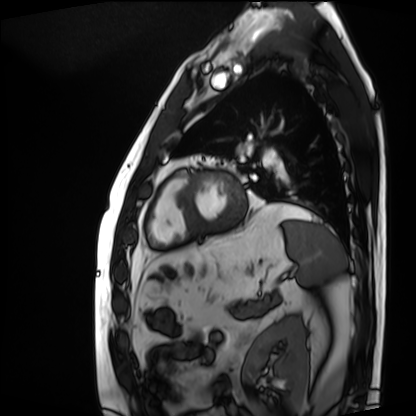
Cardiac MRI. Subject group: patient.